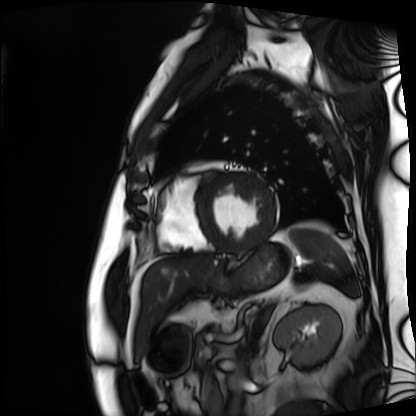
Cardiac MRI.
Subject group: patient.